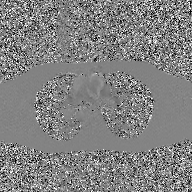
2D phase-contrast cine MRI of the ascending aorta, GAN super-resolution reconstruction.